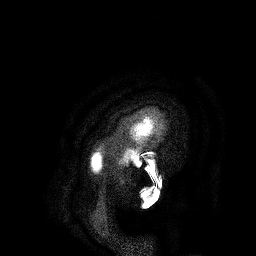
<study>
  <modality>
    <type>brain MRI</type>
    <field_strength>3T</field_strength>
  </modality>
  <series>3D T1-weighted turbo field echo</series>
  <study_topic>ring-enhancing brain masses</study_topic>
</study>